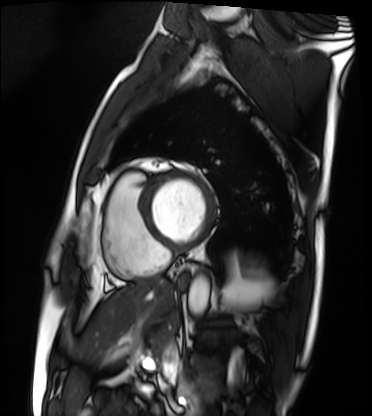
Cardiac MRI.
Subject group: patient.